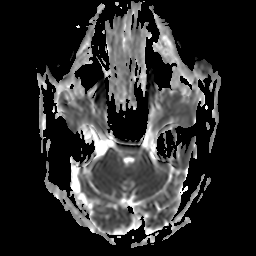
<scan>
<modality>
  <type>brain MRI</type>
  <field_strength>3T</field_strength>
</modality>
<series>apparent diffusion coefficient (ADC) map</series>
<study_topic>ring-enhancing brain masses</study_topic>
</scan>